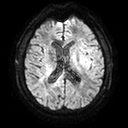
modality: 3 Tesla brain MRI; series: diffusion tensor imaging (medium iso); study: ring-enhancing brain masses.